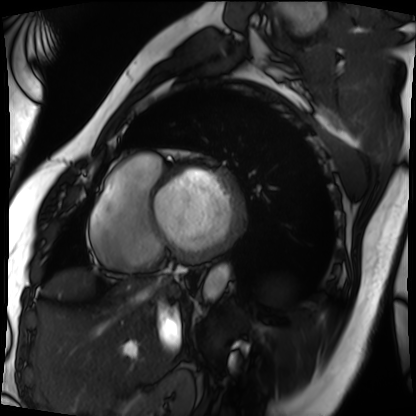
Cardiac MRI. Subject group: patient.